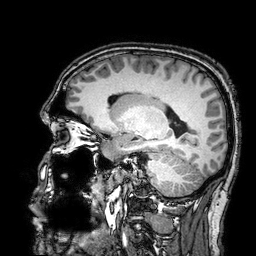
modality — 3 Tesla brain MRI
series — 3D T1-weighted turbo field echo with SENSE
study — ring-enhancing brain masses